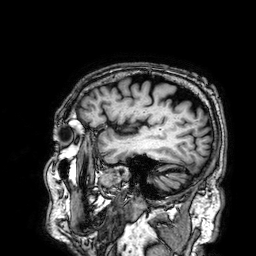
3 Tesla brain MRI. Study: ring-enhancing brain masses.